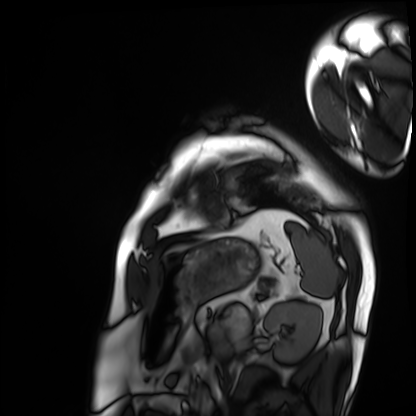
- modality: cardiac MRI
- subject group: patient